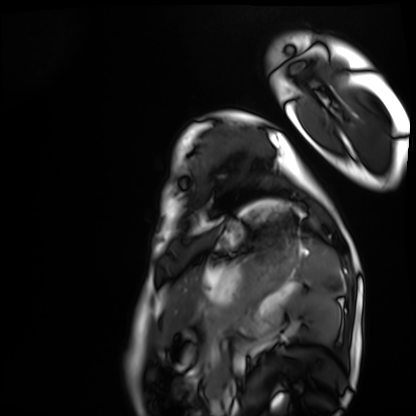
modality = cardiac MRI
subject group = healthy volunteer